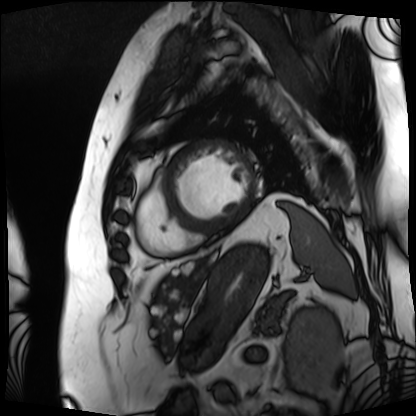
Summary:
Cardiac MRI. Subject group: patient.